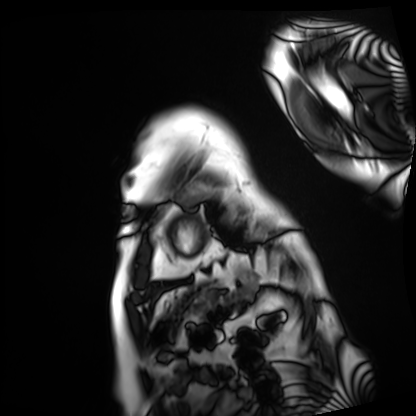
Cardiac MRI. Subject group: patient.